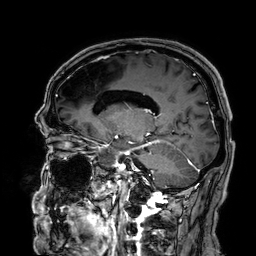
Q: What kind of scan is this?
A: 3 Tesla brain MRI.
Q: Series?
A: 3D T1-weighted.
Study: ring-enhancing brain masses.